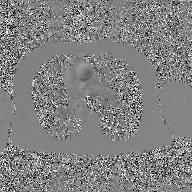
{
  "modality": {
    "type": "2D phase-contrast cine MRI",
    "region": "ascending aorta",
    "reconstruction": "GAN super-resolution reconstruction"
  }
}